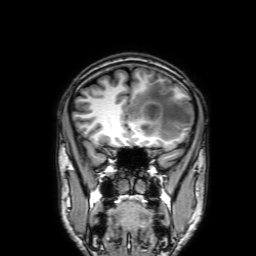
Summary: 3 Tesla brain MRI. Series: 3D T1-weighted with SENSE. Study: ring-enhancing brain masses.